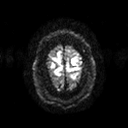
modality: 3 Tesla brain MRI
series: diffusion tensor imaging (medium iso)
study: ring-enhancing brain masses